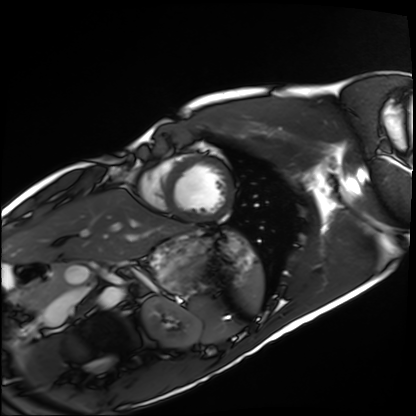
Case summary:
Cardiac MRI. Subject group: healthy volunteer.